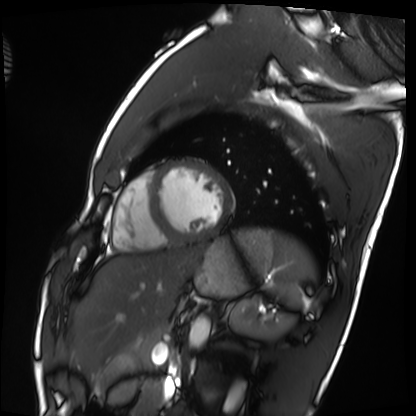
modality = cardiac MRI, subject group = healthy volunteer.